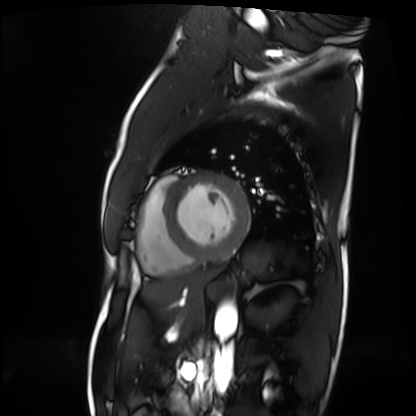
Cardiac MRI. Subject group: patient.